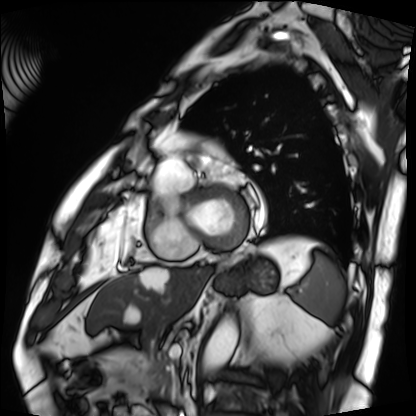
Summary: Cardiac MRI. Subject group: patient.